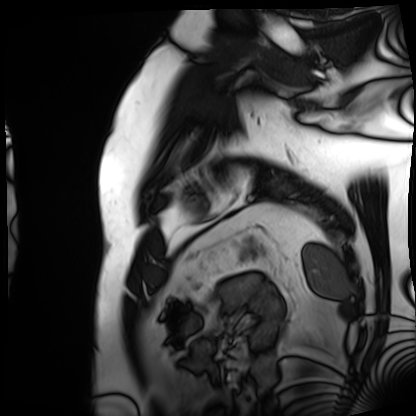
Summary: Cardiac MRI. Subject group: patient.